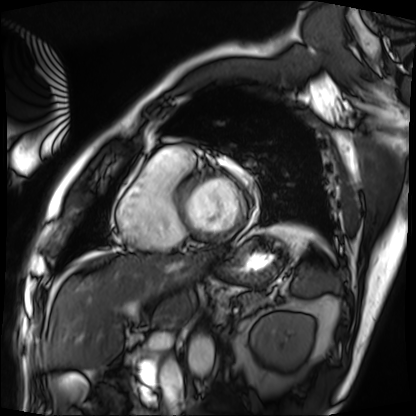
Cardiac MRI. Subject group: patient.